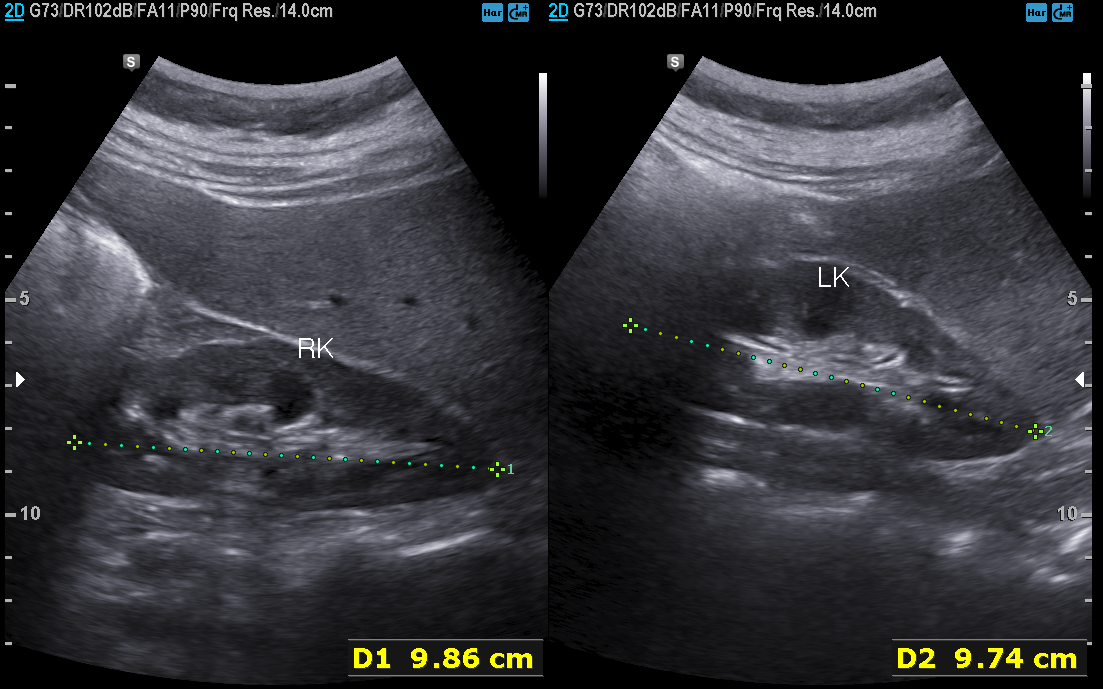
modality: genitourinary ultrasound